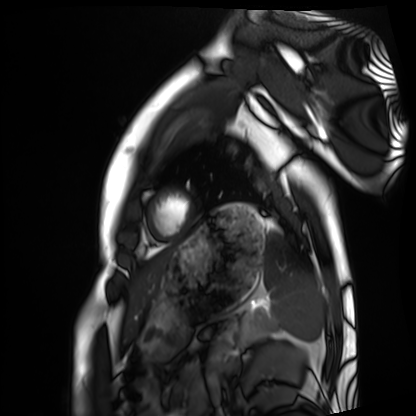
Cardiac MRI.
Subject group: healthy volunteer.